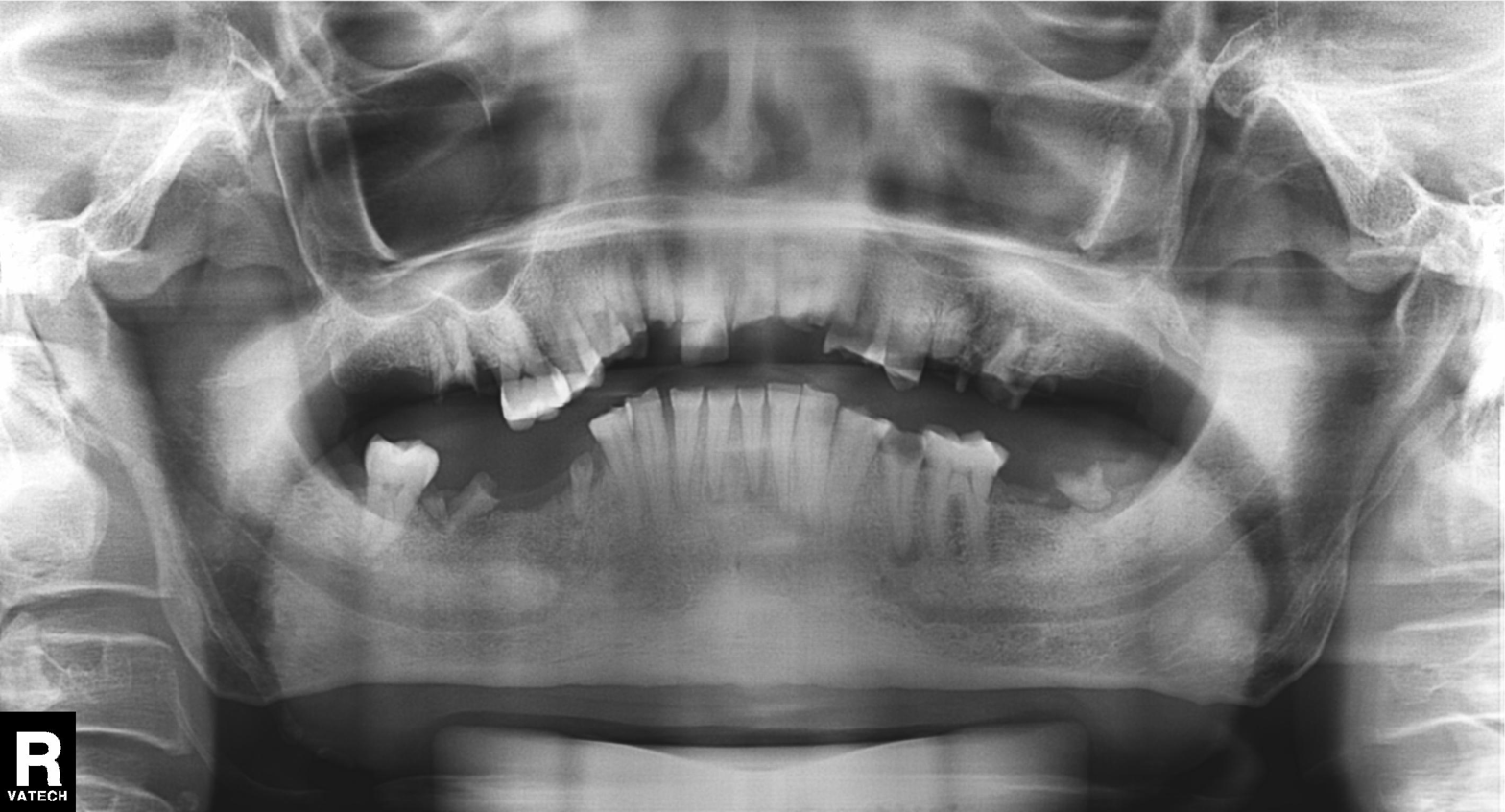
Summary:
Panoramic dental radiograph (orthopantomogram).
Assessment:
Tooth impaction.